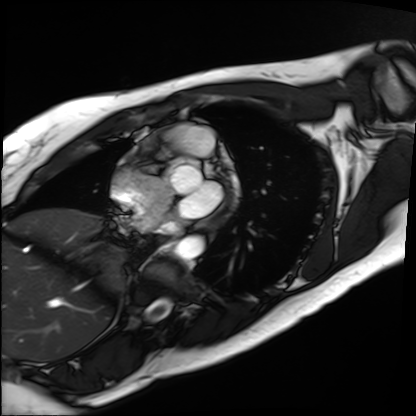
Cardiac MRI.
Subject group: patient.